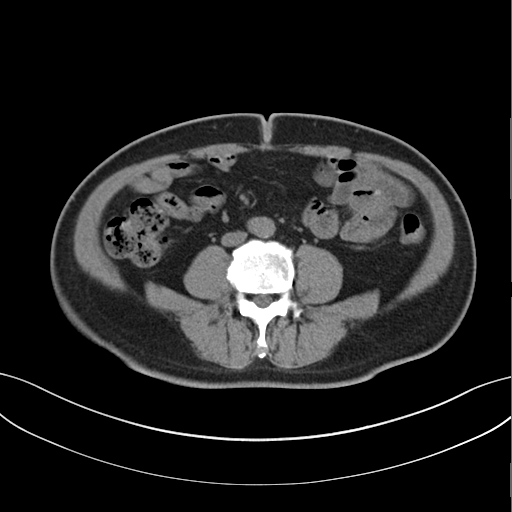
* modality — multiphase abdominal CT, liver, non-contrast phase
* patient — male, age 61